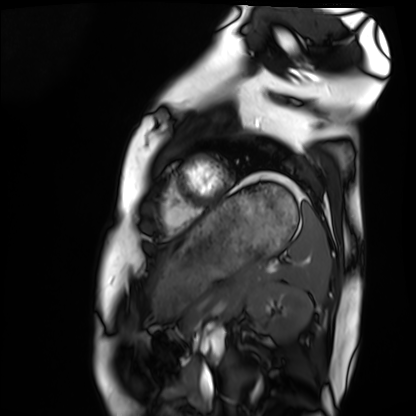
* modality · cardiac MRI
* subject group · healthy volunteer